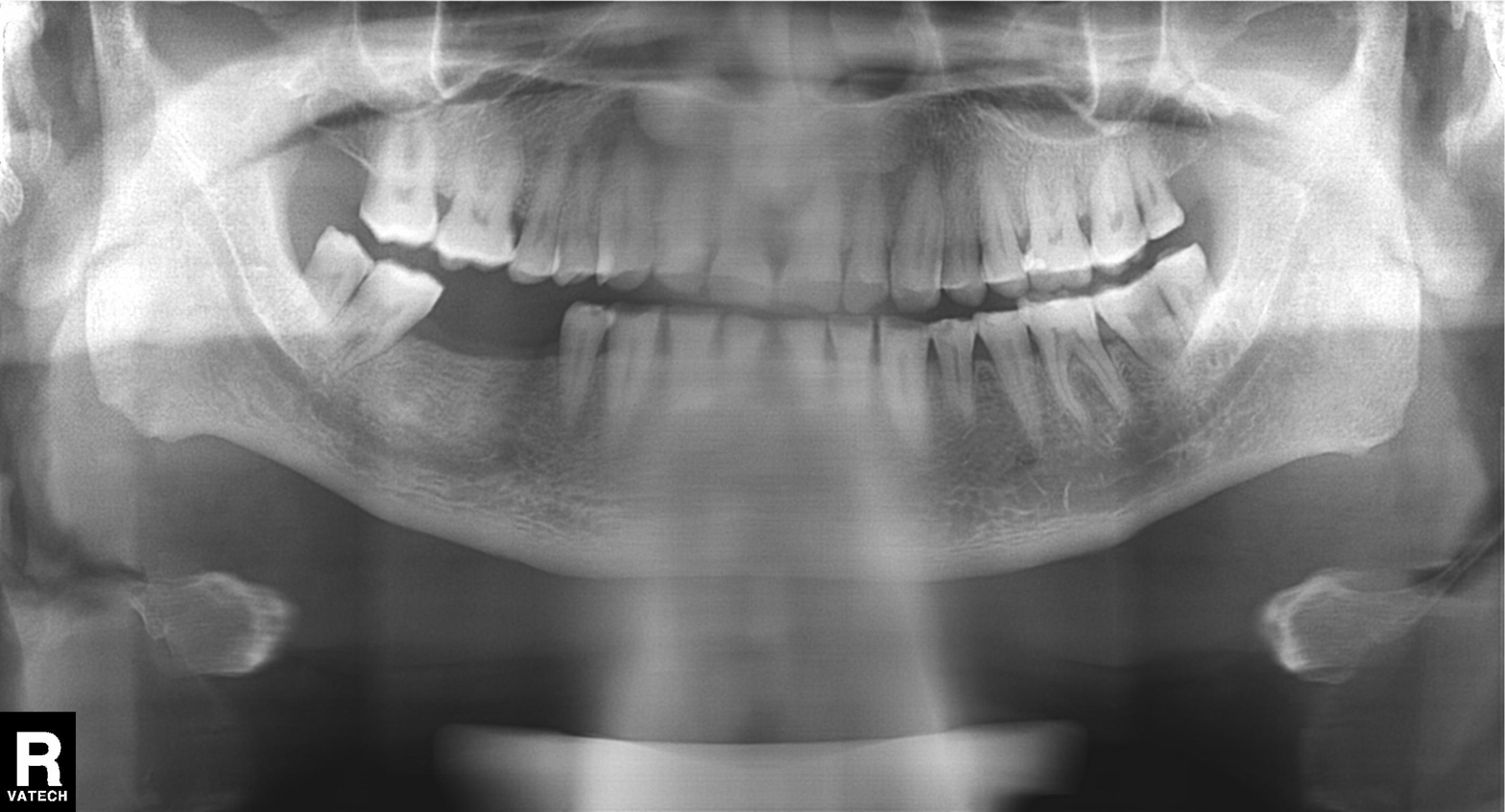
{
  "modality": "panoramic dental radiograph (orthopantomogram)",
  "finding": "tooth impaction"
}